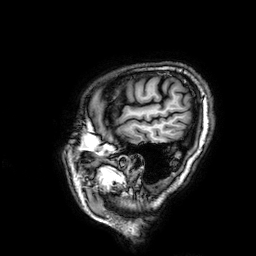
Case summary:
3 Tesla brain MRI. Series: 3D T1-weighted. Study: ring-enhancing brain masses.